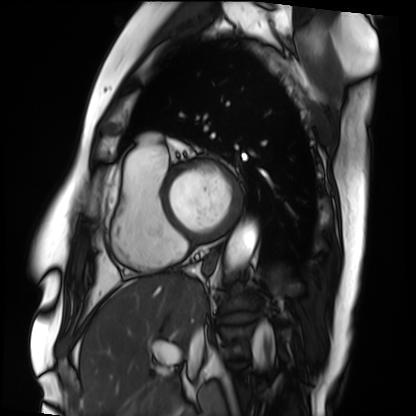
modality: cardiac MRI, subject group: patient.